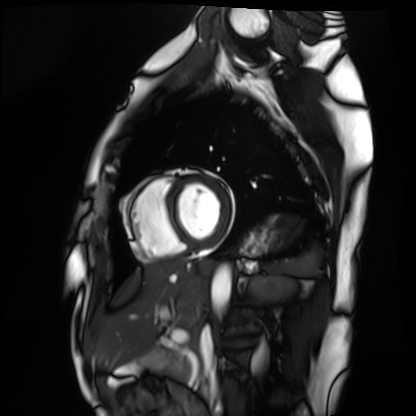
{"modality": "cardiac MRI", "cohort": "healthy volunteer"}